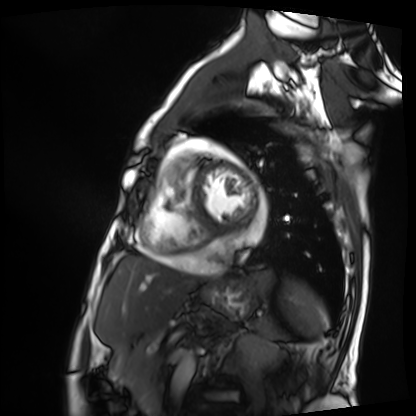
{"modality": "cardiac MRI", "cohort": "patient"}